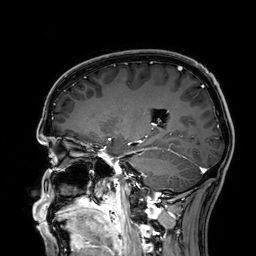
| field | value |
|---|---|
| modality | 3 Tesla brain MRI |
| series | 3D T1-weighted |
| study | ring-enhancing brain masses |